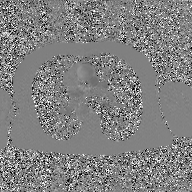
2D phase-contrast cine MRI of the ascending aorta, GAN super-resolution reconstruction.